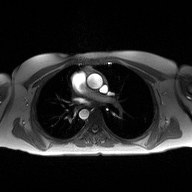
Q: What kind of scan is this?
A: 2D phase-contrast cine MRI of the ascending aorta.